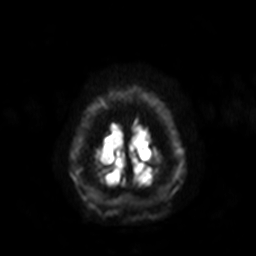
• modality · 3 Tesla brain MRI
• series · diffusion-weighted imaging with SENSE (WIP)
• study · ring-enhancing brain masses